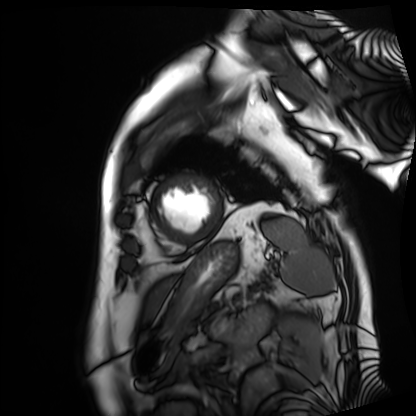
modality: cardiac MRI | subject group: patient.